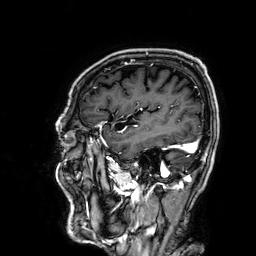
3 Tesla brain MRI.
Series: 3D T1-weighted.
Study: ring-enhancing brain masses.